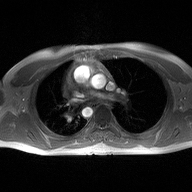
modality = 2D phase-contrast cine MRI of the ascending aorta